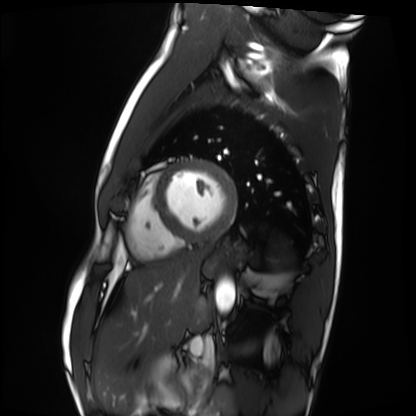
  modality: cardiac MRI
  cohort: healthy volunteer